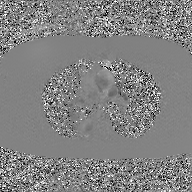
<case>
<modality>
  <type>2D phase-contrast cine MRI</type>
  <region>ascending aorta</region>
  <reconstruction>GAN super-resolution reconstruction</reconstruction>
</modality>
</case>